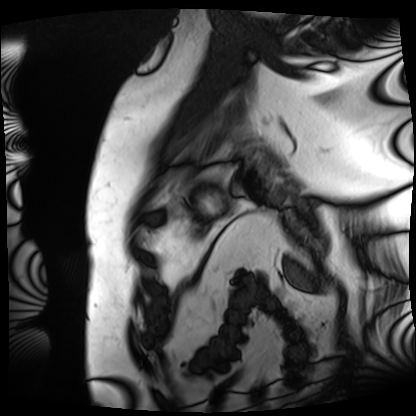
  modality: cardiac MRI
  cohort: patient